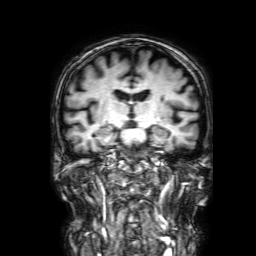
<scan>
<modality>
  <type>brain MRI</type>
  <field_strength>3T</field_strength>
</modality>
<series>3D T1-weighted with SENSE</series>
<study_topic>ring-enhancing brain masses</study_topic>
</scan>